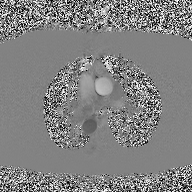
2D phase-contrast cine MRI of the ascending aorta, high-resolution GRAPPA acquisition.